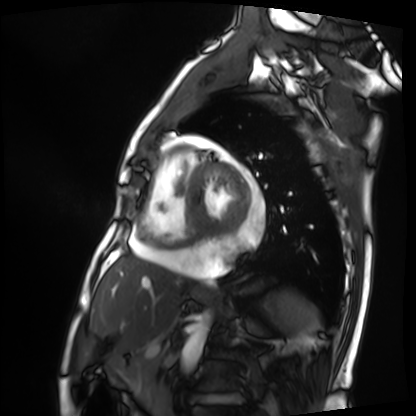
• modality: cardiac MRI
• subject group: patient